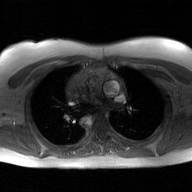
- modality — 2D phase-contrast cine MRI of the ascending aorta, GAN super-resolution reconstruction